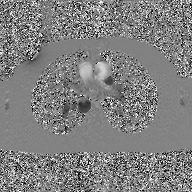
{
  "modality": {
    "type": "2D phase-contrast cine MRI",
    "region": "ascending aorta",
    "reconstruction": "GAN super-resolution reconstruction"
  }
}